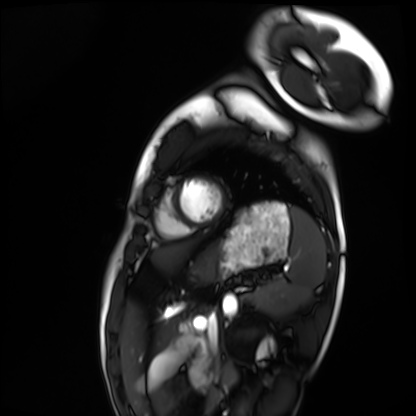
Cardiac MRI. Subject group: healthy volunteer.